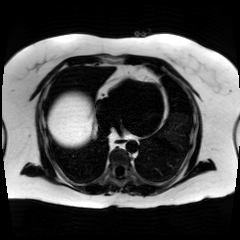
Q: What kind of scan is this?
A: Chemical-shift-encoded cardiac MRI.